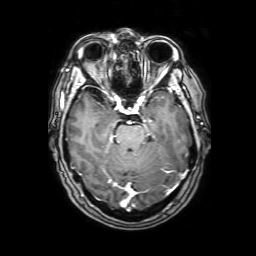
3 Tesla brain MRI.
Series: 3D T1-weighted with SENSE.
Study: ring-enhancing brain masses.